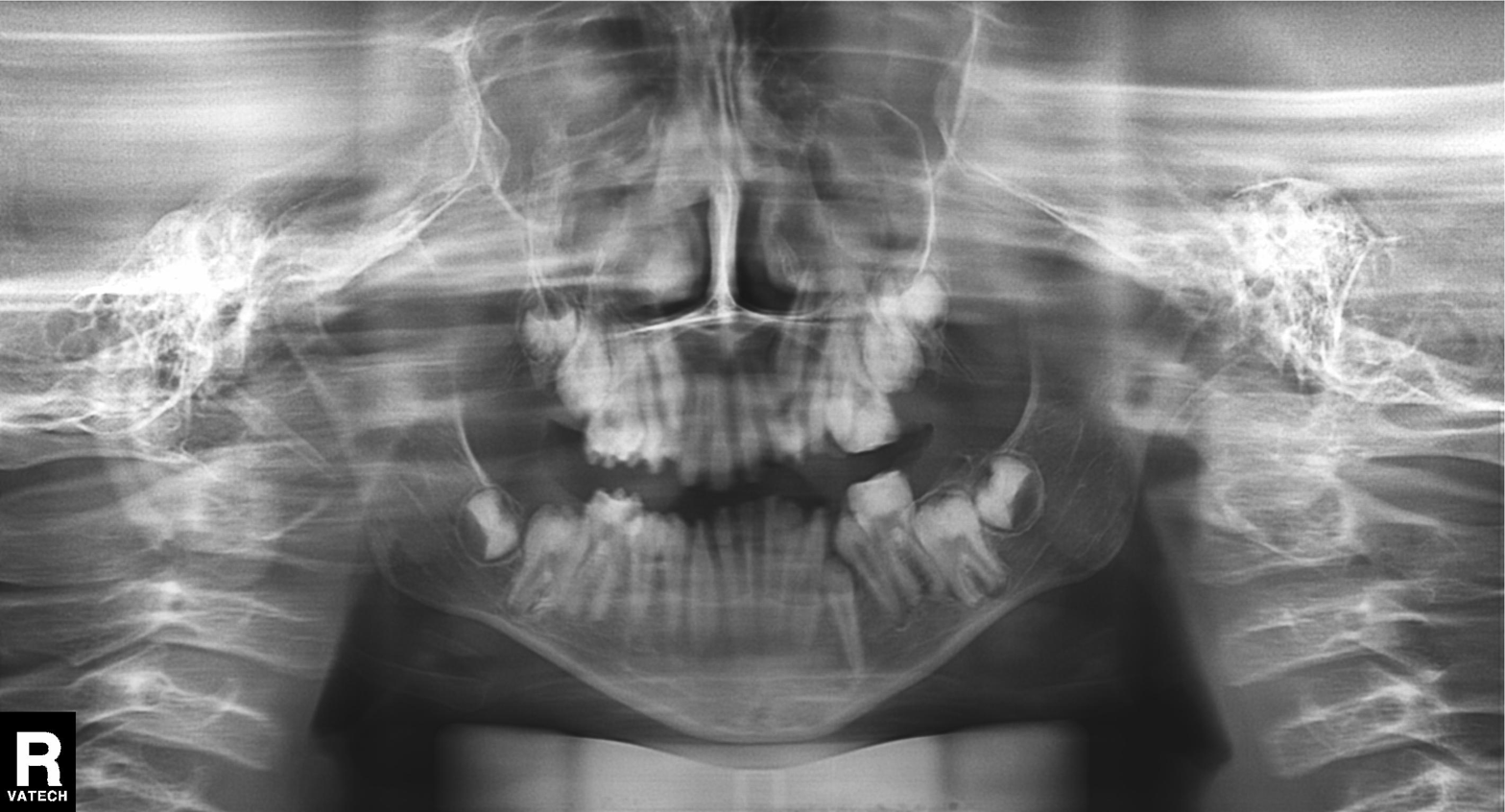
Summary: Panoramic dental radiograph (orthopantomogram).
Assessment: Tooth impaction.